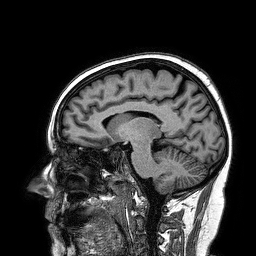
modality:
  type: brain MRI
  field_strength: 3T
series: 3D T1-weighted turbo field echo
study_topic: ring-enhancing brain masses